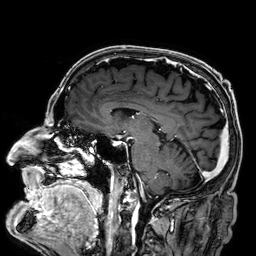
3 Tesla brain MRI.
Series: 3D T1-weighted.
Study: ring-enhancing brain masses.